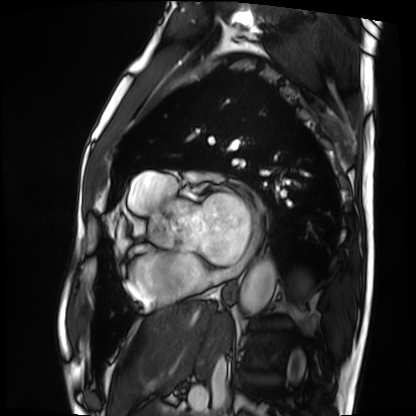
Cardiac MRI. Subject group: patient.